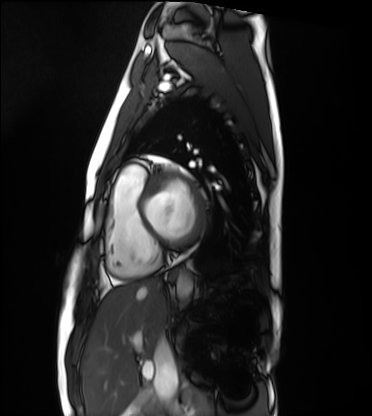
modality = cardiac MRI; subject group = healthy volunteer.